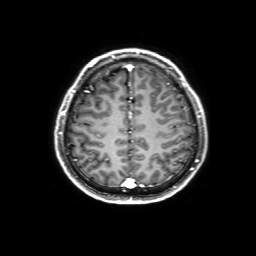
| field | value |
|---|---|
| modality | 3 Tesla brain MRI |
| series | 3D T1-weighted with SENSE |
| study | ring-enhancing brain masses |